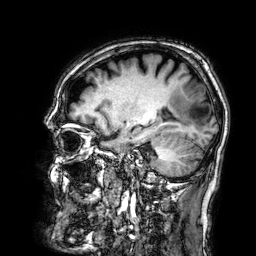
Q: What kind of scan is this?
A: 3 Tesla brain MRI.
Q: Series?
A: 3D T1-weighted.
Study: ring-enhancing brain masses.